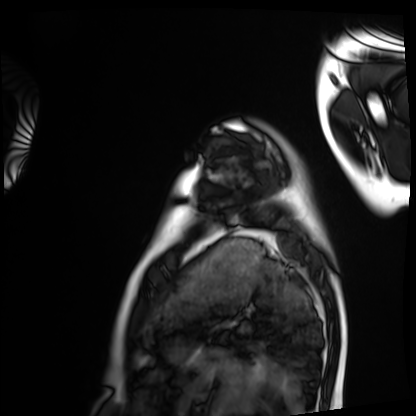
| field | value |
|---|---|
| modality | cardiac MRI |
| subject group | healthy volunteer |